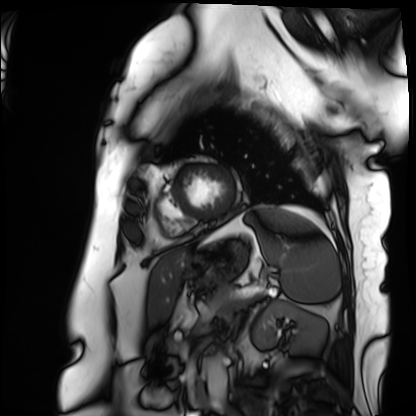
Summary: Cardiac MRI. Subject group: patient.